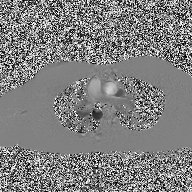
Q: What kind of scan is this?
A: 2D phase-contrast cine MRI of the ascending aorta.